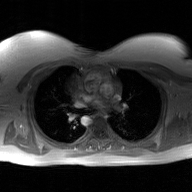
– modality · 2D phase-contrast cine MRI of the ascending aorta, GAN super-resolution reconstruction